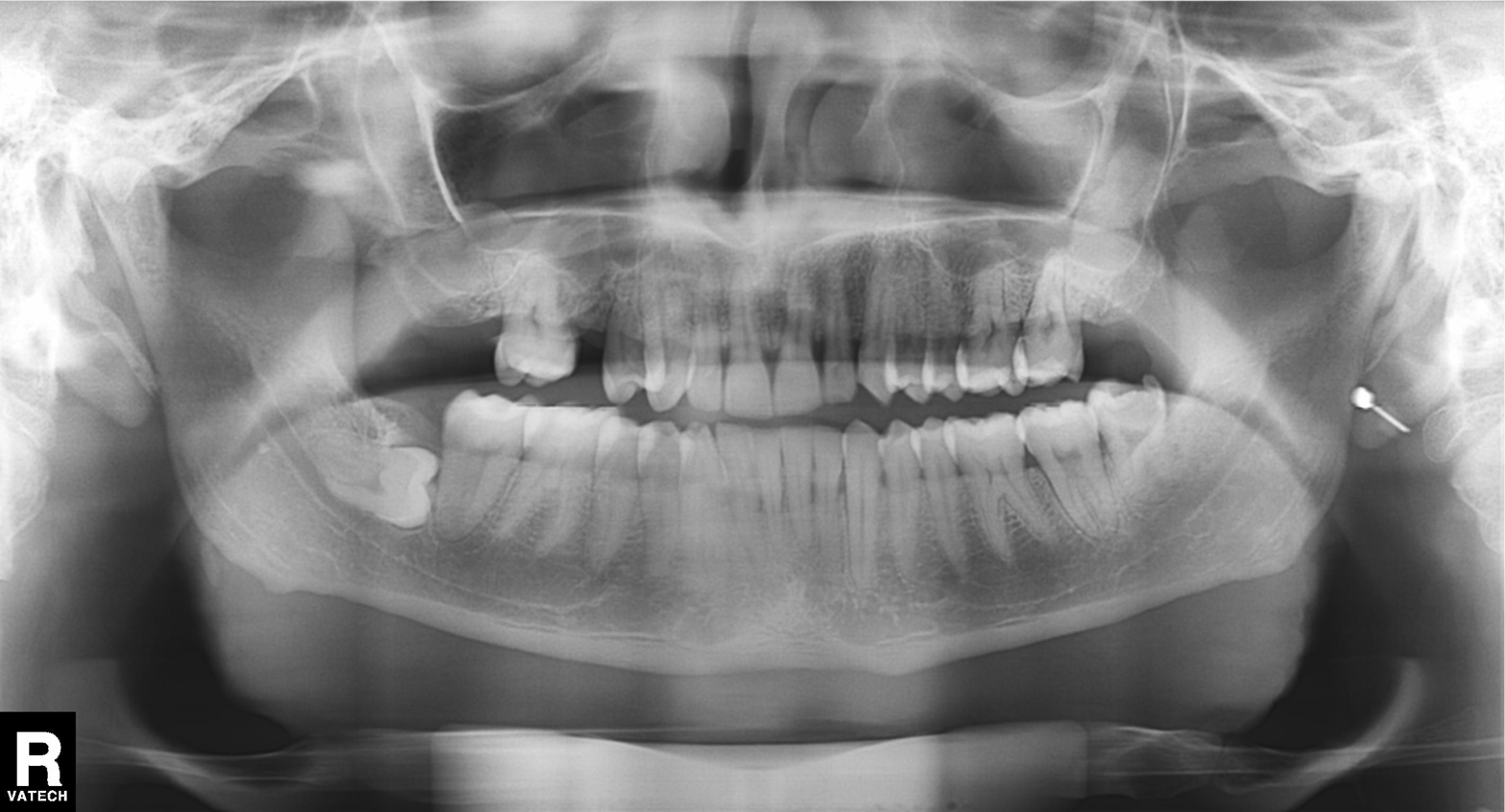
Summary:
Panoramic dental radiograph (orthopantomogram).
Conclusion:
Alveolar bone loss.